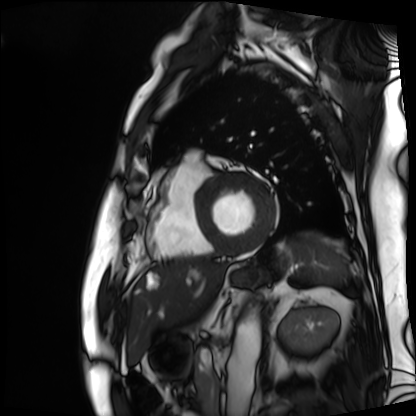
Summary: Cardiac MRI. Subject group: patient.